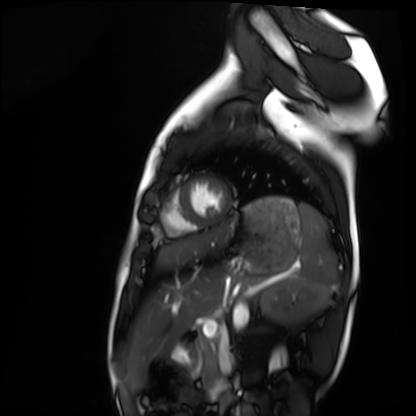
Cardiac MRI. Subject group: healthy volunteer.